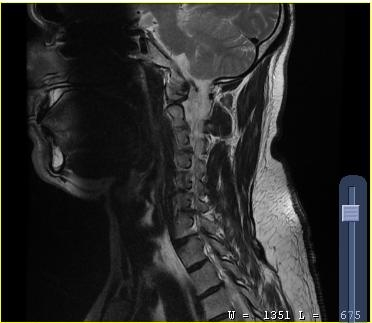
Case summary: MRI of the cervical spine. Study: cervical spondylosis.